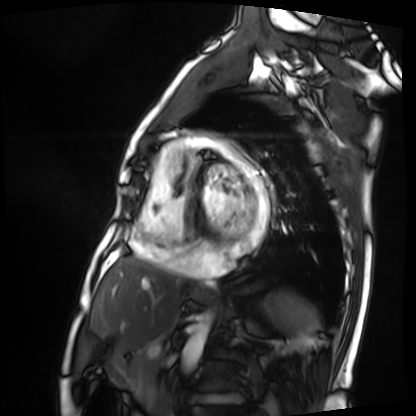
<study>
<modality>cardiac MRI</modality>
<cohort>patient</cohort>
</study>